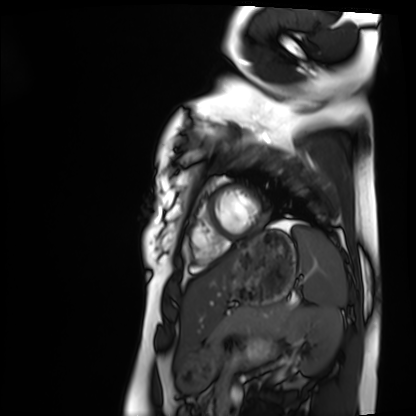
Cardiac MRI. Subject group: healthy volunteer.